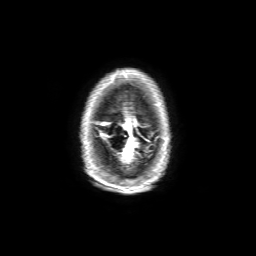
| field | value |
|---|---|
| modality | 3 Tesla brain MRI |
| series | 3D T1-weighted with SENSE |
| study | ring-enhancing brain masses |